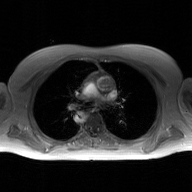
Case summary:
2D phase-contrast cine MRI of the ascending aorta, GAN super-resolution reconstruction.